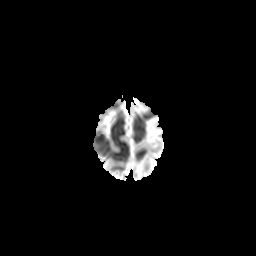
modality: 3 Tesla brain MRI | series: diffusion-weighted imaging with CLEAR | study: ring-enhancing brain masses.